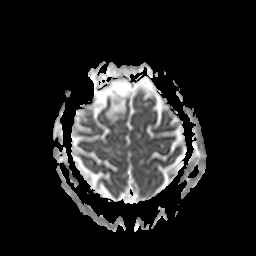
modality = 3 Tesla brain MRI | study = ring-enhancing brain masses.